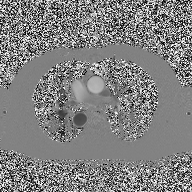
• modality: 2D phase-contrast cine MRI of the ascending aorta